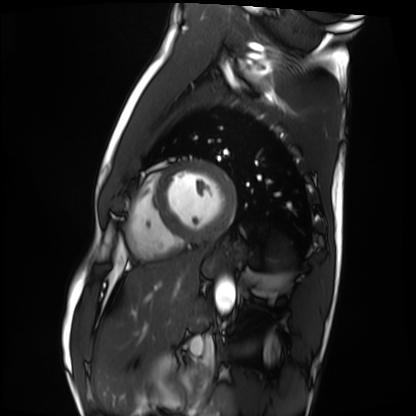
Cardiac MRI.
Subject group: healthy volunteer.